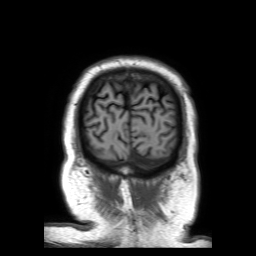
3 Tesla brain MRI. Study: ring-enhancing brain masses.